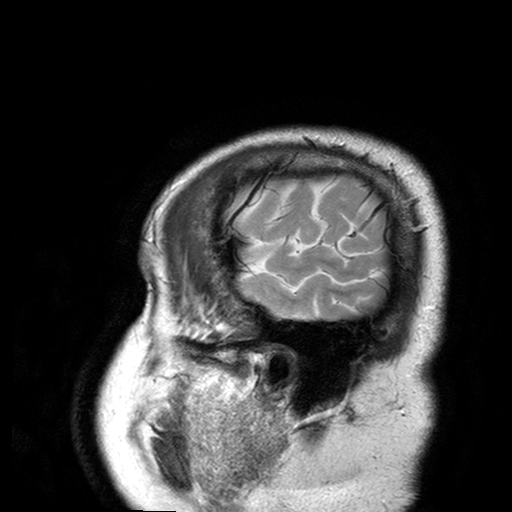
| field | value |
|---|---|
| modality | 3 Tesla brain MRI |
| series | T2-weighted turbo spin echo with SENSE |
| study | ring-enhancing brain masses |